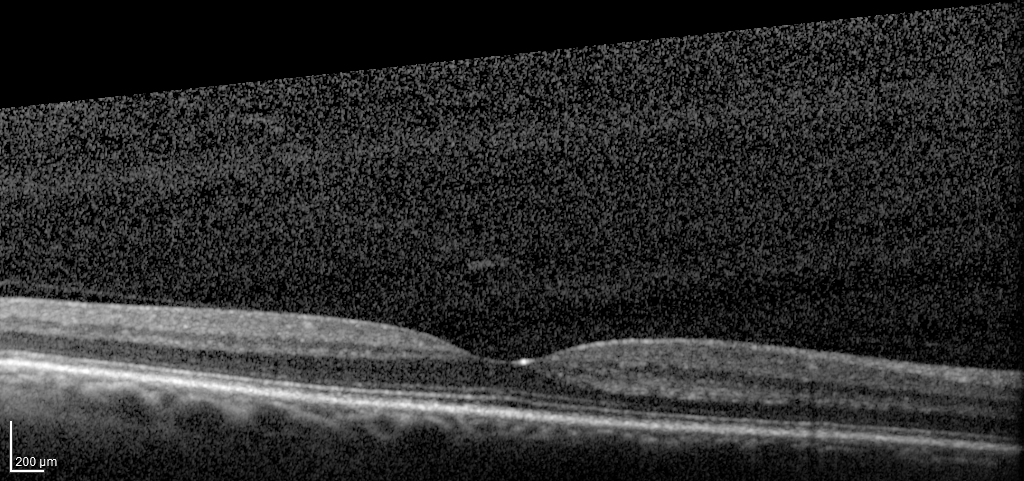
| feature | finding |
|---|---|
| modality | spectral-domain optical coherence tomography (SD-OCT) of the macula |
| subject | female, age 60, right eye |
| cohort | diabetic subject |
| ETDRS-grid retinal thickness (μm) | central 272, inner temporal 326, inner nasal 346, inner superior 334, inner inferior 337, outer temporal 280, outer nasal 317, outer superior 295, outer inferior 294 |